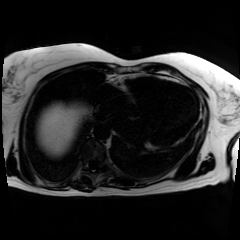
{"modality": "chemical-shift-encoded cardiac MRI"}